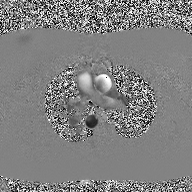
2D phase-contrast cine MRI of the ascending aorta, high-resolution GRAPPA acquisition.